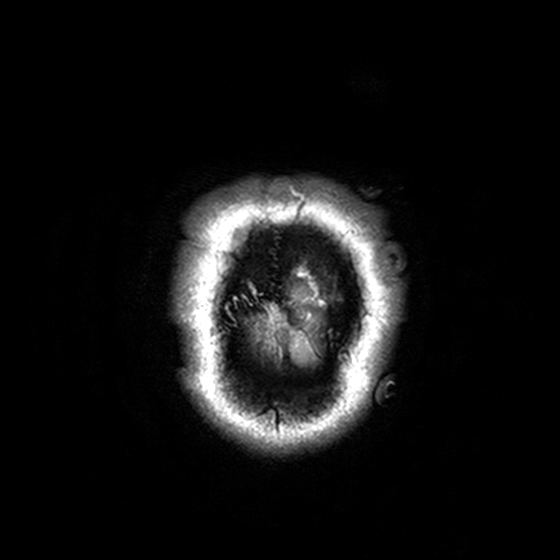
3 Tesla brain MRI.
Study: ring-enhancing brain masses.